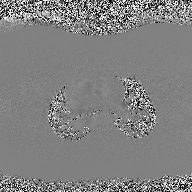
2D phase-contrast cine MRI of the ascending aorta, high-resolution GRAPPA acquisition.